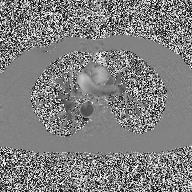
Summary:
2D phase-contrast cine MRI of the ascending aorta, high-resolution GRAPPA acquisition.